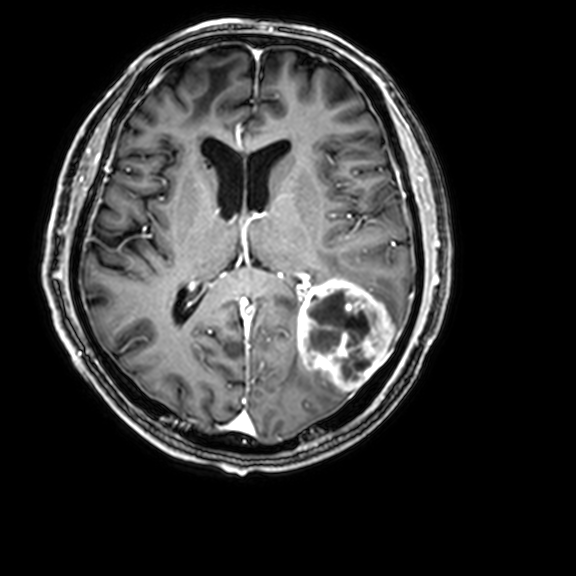
3 Tesla brain MRI.
Series: 3D T1-weighted with CLEAR.
Study: ring-enhancing brain masses.